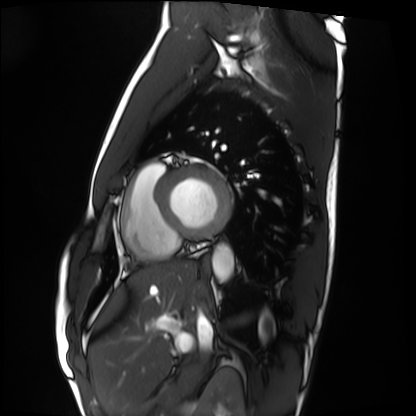
Summary:
Cardiac MRI. Subject group: healthy volunteer.